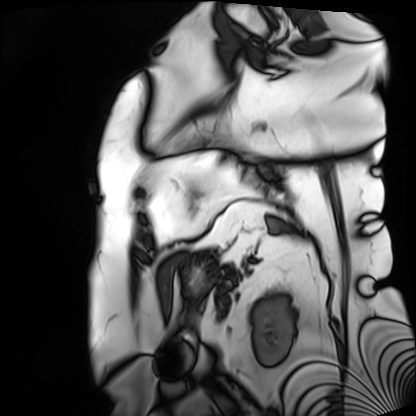
Summary:
Cardiac MRI. Subject group: patient.